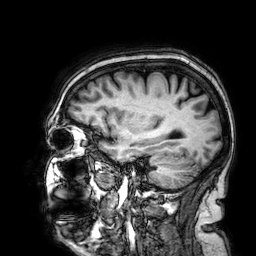
Q: What kind of scan is this?
A: 3 Tesla brain MRI.
Q: Series?
A: 3D T1-weighted.
Study: ring-enhancing brain masses.